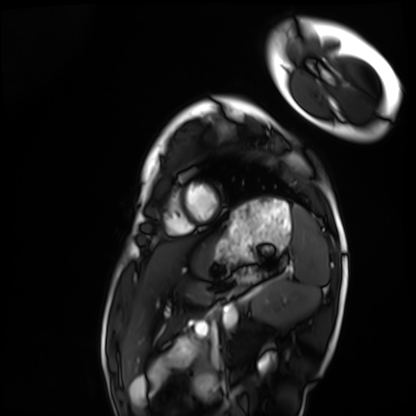
Cardiac MRI.
Subject group: healthy volunteer.